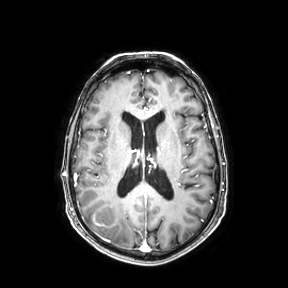
Q: What kind of scan is this?
A: 3 Tesla brain MRI.
Q: Series?
A: Axial.
Study: ring-enhancing brain masses.